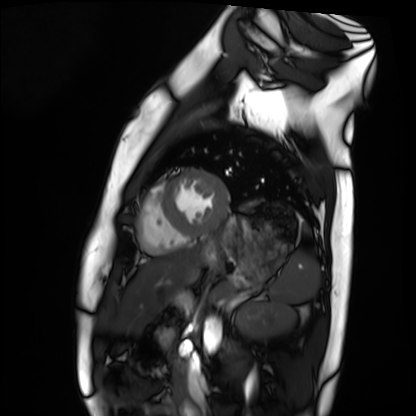
modality: cardiac MRI; subject group: healthy volunteer.